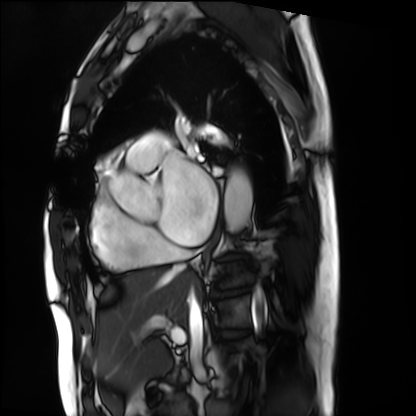
<study>
  <modality>cardiac MRI</modality>
  <cohort>patient</cohort>
</study>